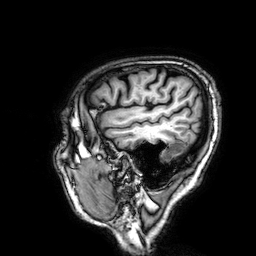
3 Tesla brain MRI.
Series: 3D T1-weighted.
Study: ring-enhancing brain masses.